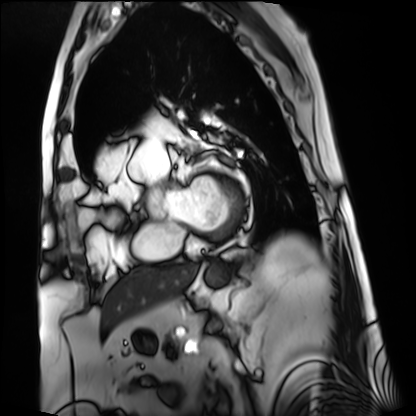
{
  "modality": "cardiac MRI",
  "cohort": "patient"
}